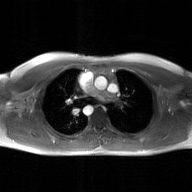
{
  "modality": {
    "type": "2D phase-contrast cine MRI",
    "region": "ascending aorta",
    "reconstruction": "GAN super-resolution reconstruction"
  }
}